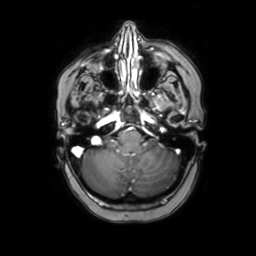
Case:
• modality · 3 Tesla brain MRI
• series · axial with contrast
• study · ring-enhancing brain masses